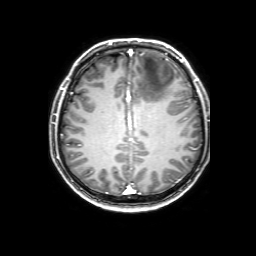
• modality · 3 Tesla brain MRI
• study · ring-enhancing brain masses